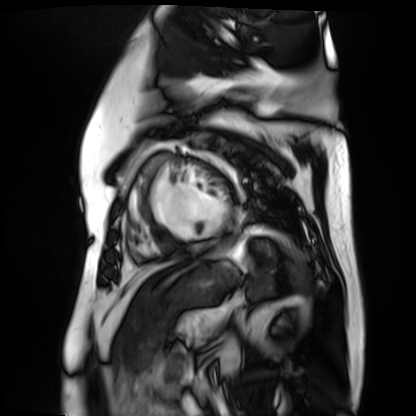
modality = cardiac MR image of the myocardium, subject cohort = cardiac patient.